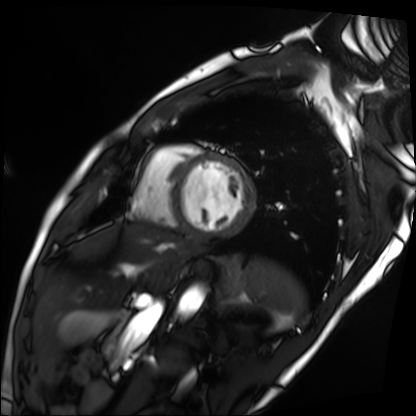
Cardiac MRI.
Subject group: patient.